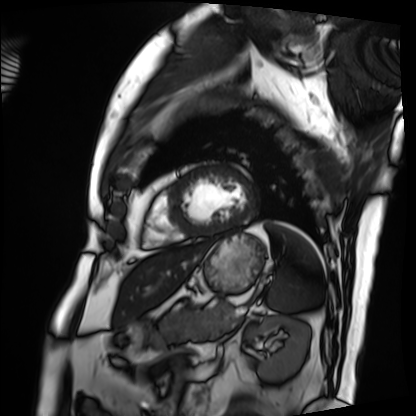
Q: What kind of scan is this?
A: Cardiac MRI.
Subject group: patient.